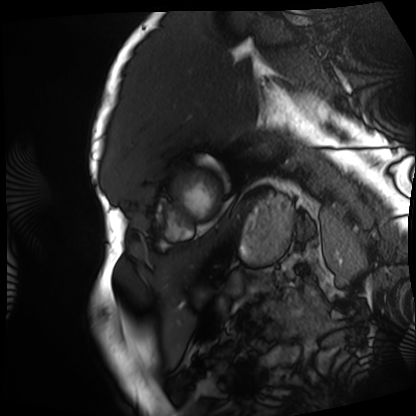
Cardiac MRI. Subject group: patient.